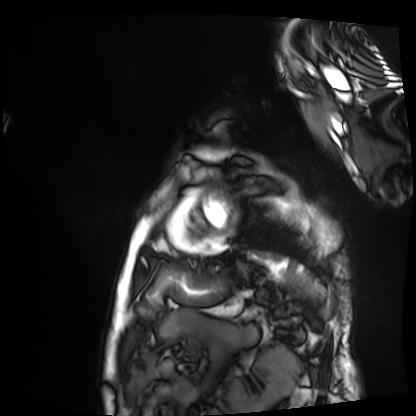
Clinical context:
Cardiac MRI. Subject group: patient.